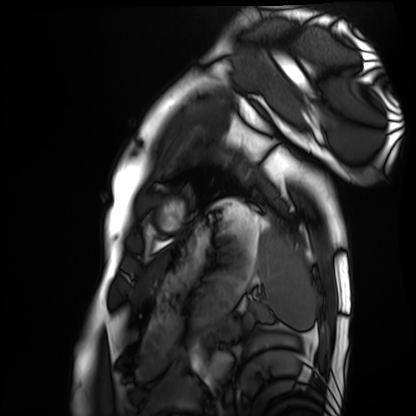
modality = cardiac MRI; subject group = healthy volunteer.